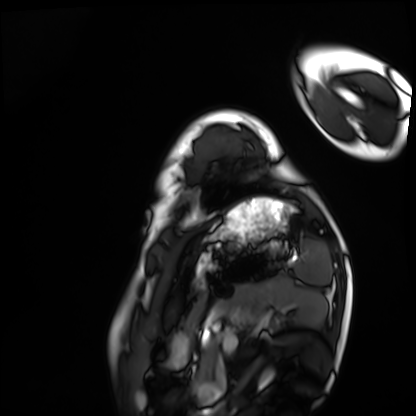
Cardiac MRI. Subject group: healthy volunteer.